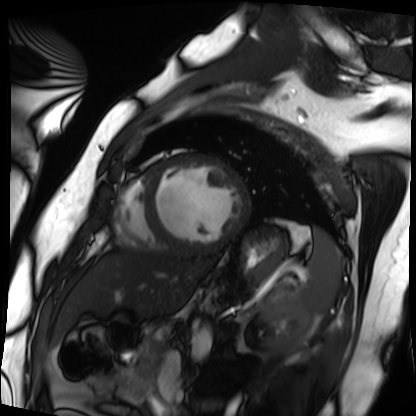
<case>
<modality>cardiac MRI</modality>
<cohort>patient</cohort>
</case>